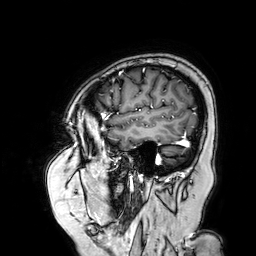
3 Tesla brain MRI. Series: 3D T1-weighted turbo field echo with SENSE. Study: ring-enhancing brain masses.